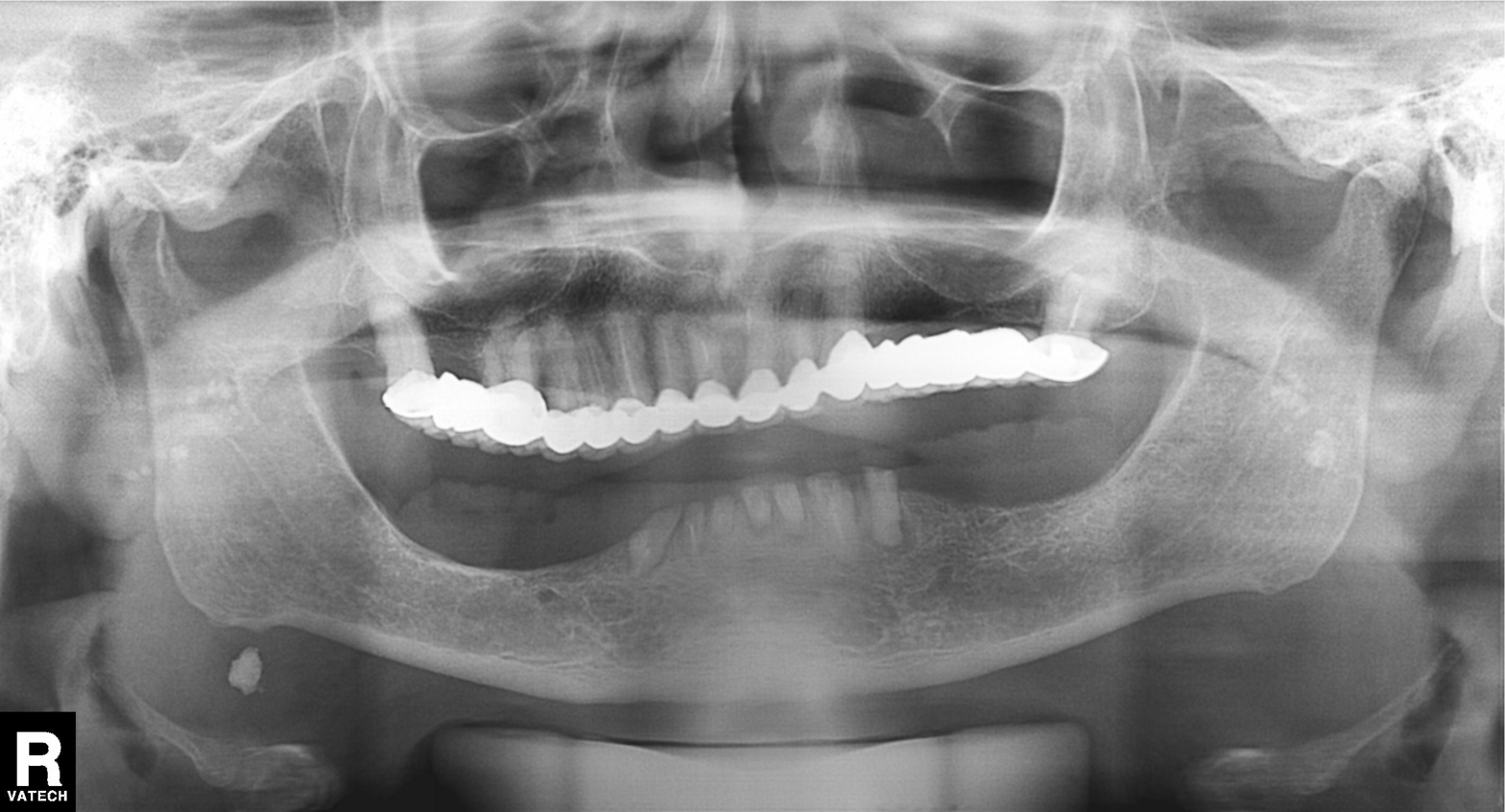
Panoramic dental radiograph (orthopantomogram).
Finding: tooth impaction.